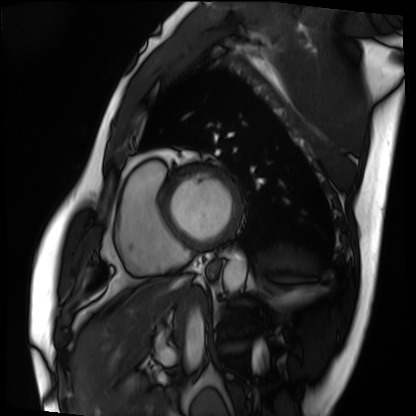
{"modality": "cardiac MRI", "cohort": "patient"}